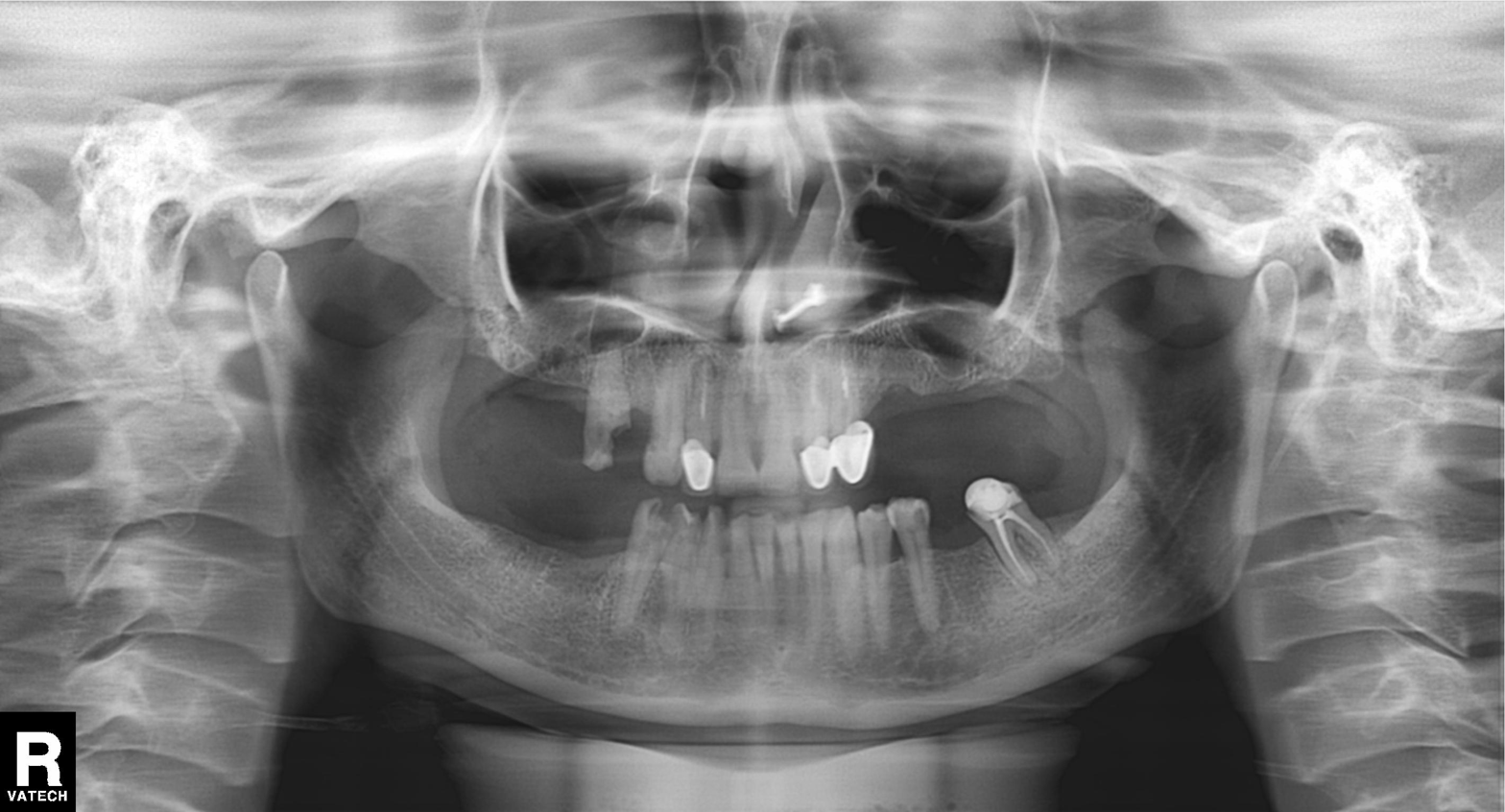
Case:
* modality: panoramic dental radiograph (orthopantomogram)
* finding: alveolar bone loss